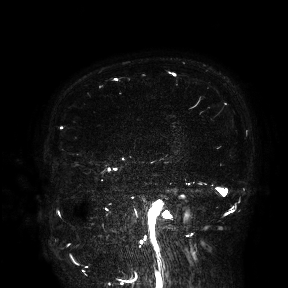
{
  "modality": {
    "type": "brain MRI",
    "field_strength": "3T"
  },
  "study_topic": "ring-enhancing brain masses"
}